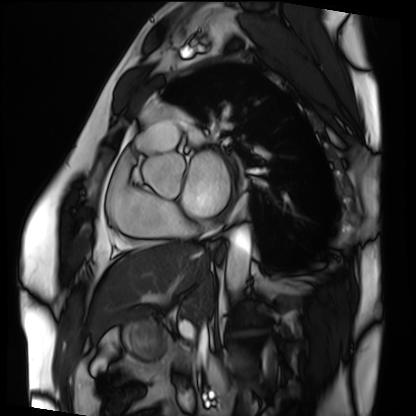
Clinical context:
Cardiac MRI. Subject group: patient.